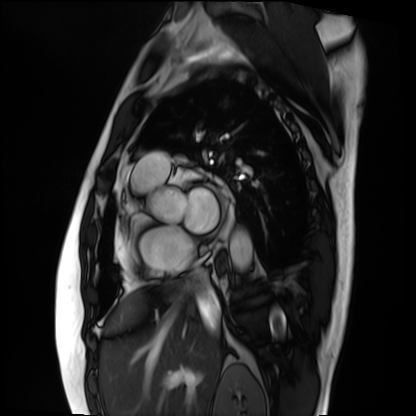
  modality: cardiac MRI
  cohort: patient